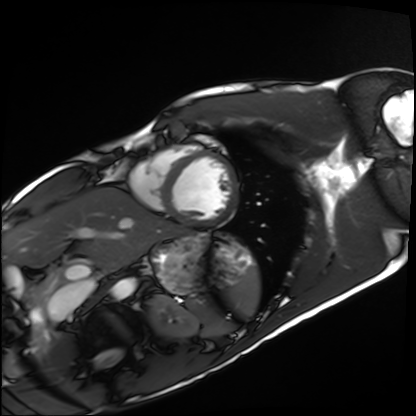
Q: What kind of scan is this?
A: Cardiac MRI.
Subject group: healthy volunteer.